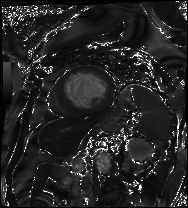
modality: cardiac MRI | subject group: patient.